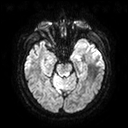
3 Tesla brain MRI. Series: diffusion tensor imaging (medium iso). Study: ring-enhancing brain masses.